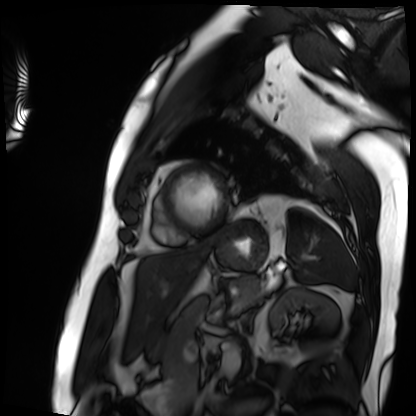
<record>
<modality>cardiac MRI</modality>
<cohort>patient</cohort>
</record>